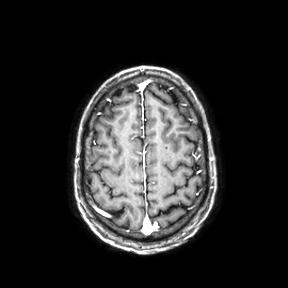
Case summary:
3 Tesla brain MRI. Series: axial. Study: ring-enhancing brain masses.